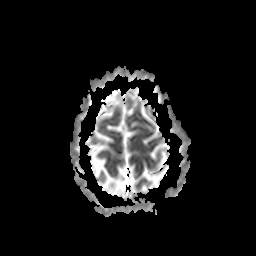
3 Tesla brain MRI. Series: apparent diffusion coefficient (ADC) map. Study: ring-enhancing brain masses.